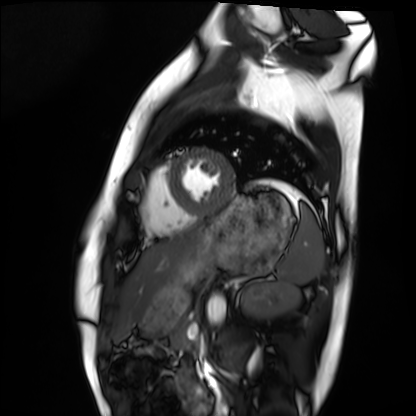
* modality: cardiac MRI
* subject group: healthy volunteer